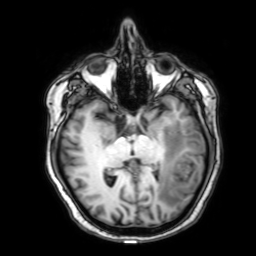
modality=3 Tesla brain MRI | series=3D T1-weighted with SENSE | study=ring-enhancing brain masses.